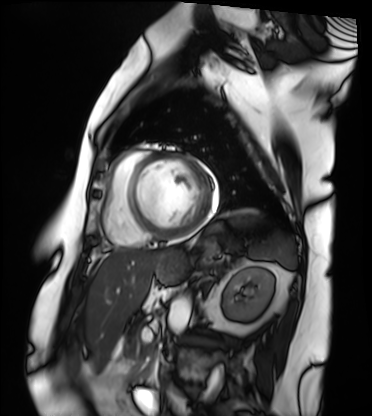
Clinical context:
Cardiac MRI. Subject group: patient.